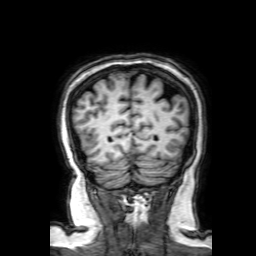
Clinical context: 3 Tesla brain MRI. Series: 3D T1-weighted with SENSE. Study: ring-enhancing brain masses.